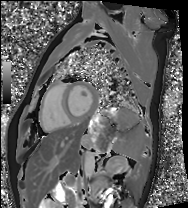
{"modality": "cardiac MRI", "cohort": "healthy volunteer"}